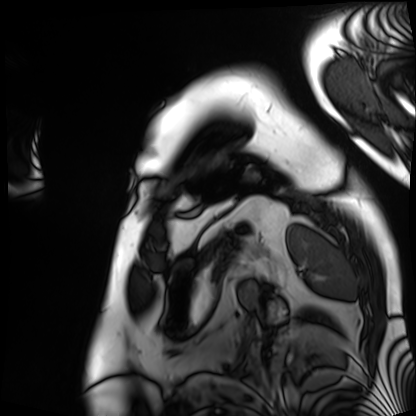
- modality · cardiac MRI
- subject group · patient